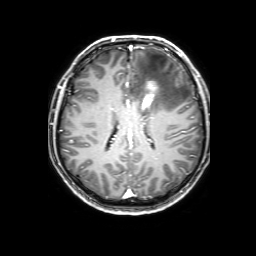
modality: 3 Tesla brain MRI; series: 3D T1-weighted with SENSE; study: ring-enhancing brain masses.